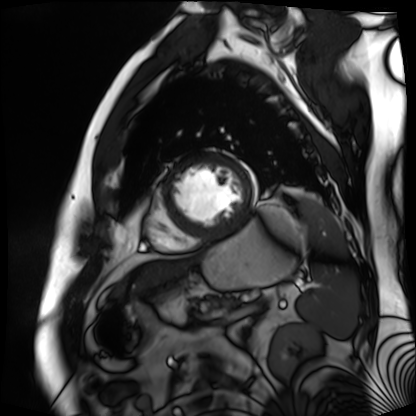
Cardiac MR image of the myocardium.
Subject cohort: cardiac patient.